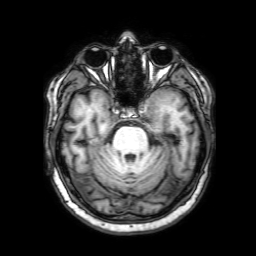
modality:
  type: brain MRI
  field_strength: 3T
series: 3D T1-weighted with SENSE
study_topic: ring-enhancing brain masses